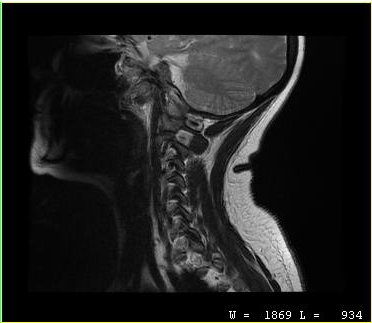
• modality · MRI of the cervical spine
• study · cervical spondylosis